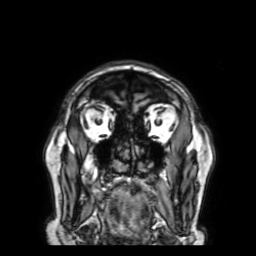
3 Tesla brain MRI.
Series: 3D T1-weighted with SENSE.
Study: ring-enhancing brain masses.